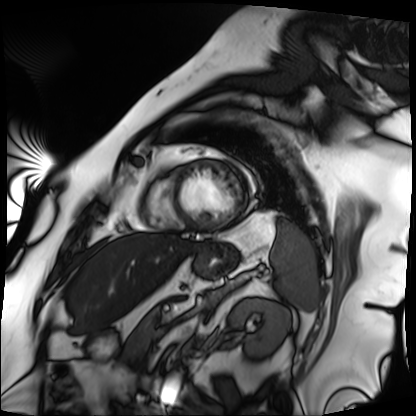
Q: What kind of scan is this?
A: Cardiac MRI.
Subject group: patient.